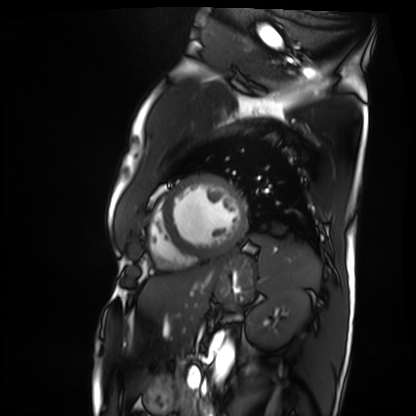
Cardiac MRI. Subject group: patient.